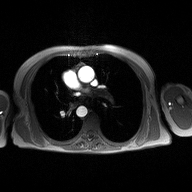
2D phase-contrast cine MRI of the ascending aorta, high-resolution GRAPPA acquisition.